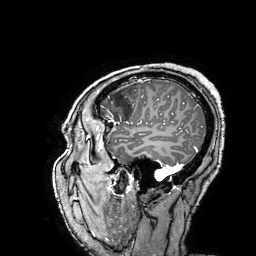
{
  "modality": {
    "type": "brain MRI",
    "field_strength": "3T"
  },
  "series": "3D T1-weighted turbo field echo with SENSE",
  "study_topic": "ring-enhancing brain masses"
}